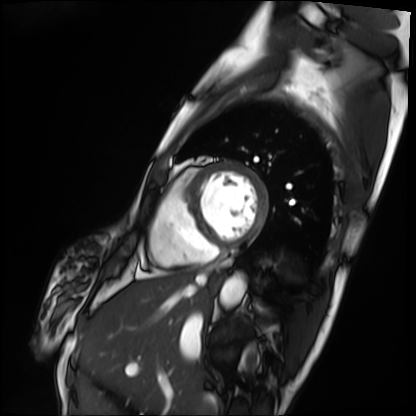
Cardiac MRI. Subject group: patient.